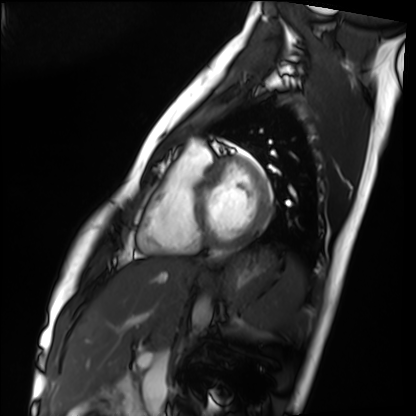
Case summary: Cardiac MRI. Subject group: healthy volunteer.